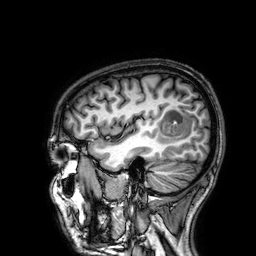
3 Tesla brain MRI.
Series: 3D T1-weighted.
Study: ring-enhancing brain masses.